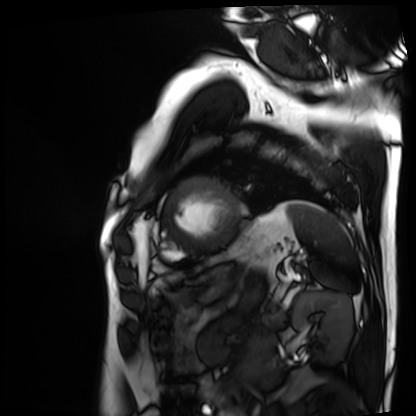
modality — cardiac MRI; subject group — patient.